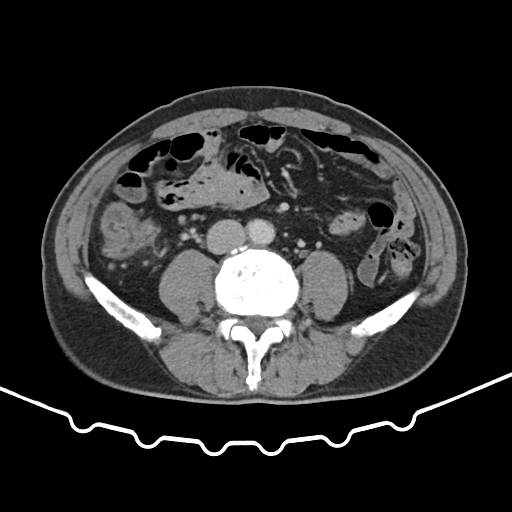
Multiphase abdominal CT, liver, portal venous phase.
Patient: male, age 62.